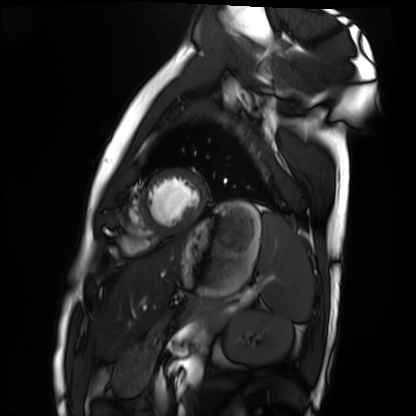
Cardiac MRI. Subject group: healthy volunteer.